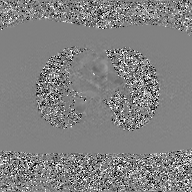
2D phase-contrast cine MRI of the ascending aorta, GAN super-resolution reconstruction.